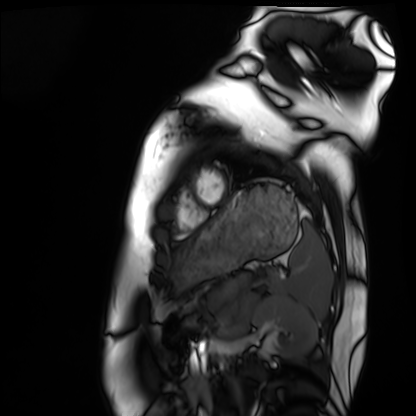
Cardiac MRI. Subject group: healthy volunteer.